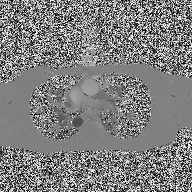
Clinical context:
2D phase-contrast cine MRI of the ascending aorta, high-resolution GRAPPA acquisition.